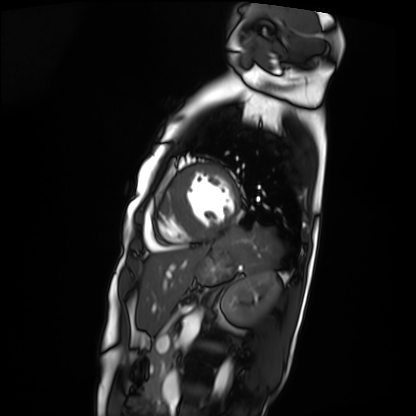
Summary:
Cardiac MRI. Subject group: patient.